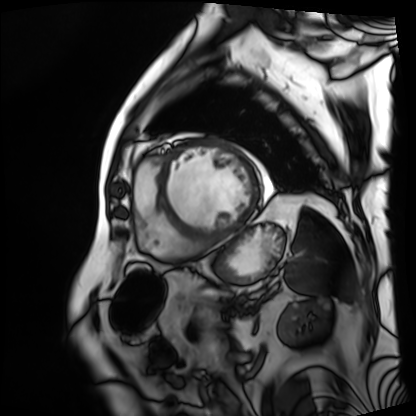
| field | value |
|---|---|
| modality | cardiac MRI |
| subject group | patient |